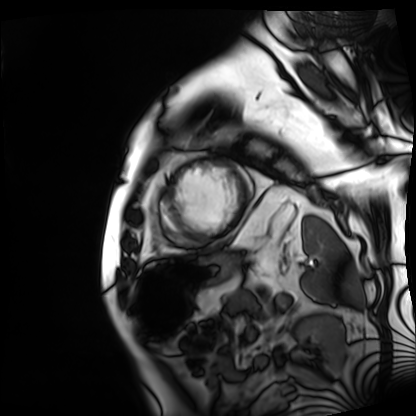
<scan>
  <modality>cardiac MRI</modality>
  <cohort>patient</cohort>
</scan>